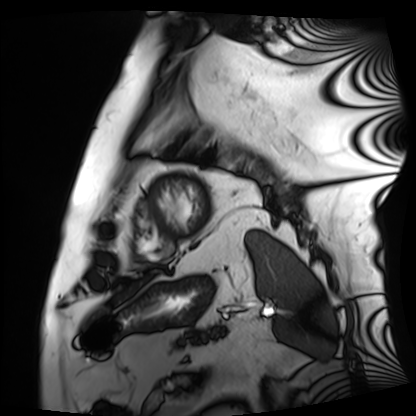
Q: What kind of scan is this?
A: Cardiac MRI.
Subject group: patient.